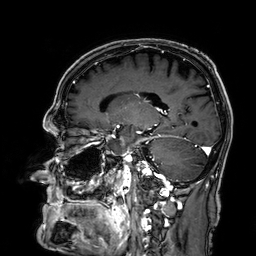
{
  "modality": {
    "type": "brain MRI",
    "field_strength": "3T"
  },
  "series": "3D T1-weighted",
  "study_topic": "ring-enhancing brain masses"
}